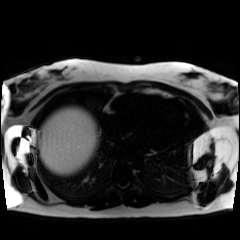
modality = chemical-shift-encoded cardiac MRI.